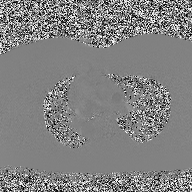
<study>
  <modality>
    <type>2D phase-contrast cine MRI</type>
    <region>ascending aorta</region>
    <reconstruction>high-resolution GRAPPA acquisition</reconstruction>
  </modality>
</study>